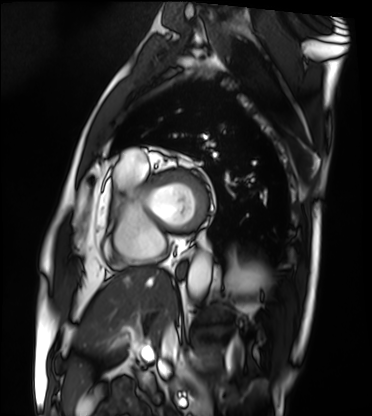
Cardiac MRI.
Subject group: patient.